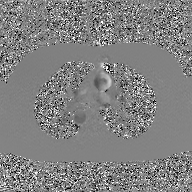
Summary:
2D phase-contrast cine MRI of the ascending aorta, GAN super-resolution reconstruction.